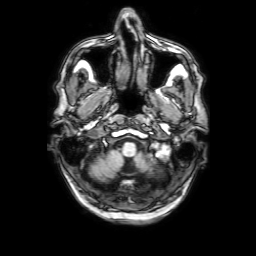
- modality: 3 Tesla brain MRI
- series: 3D T1-weighted with SENSE
- study: ring-enhancing brain masses